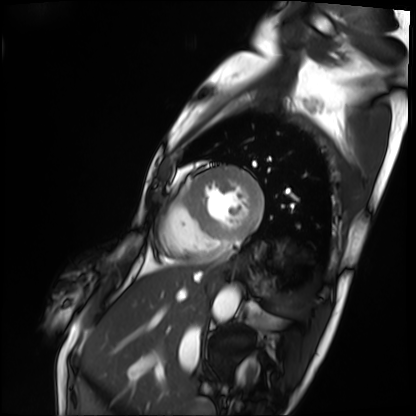
Case:
* modality · cardiac MRI
* subject group · patient